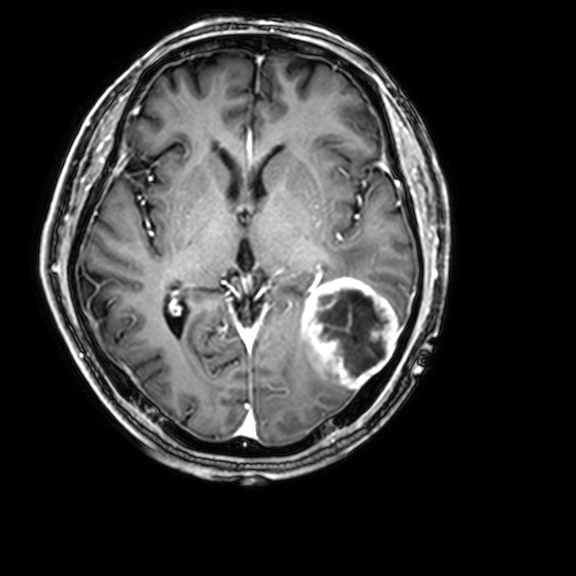
modality: 3 Tesla brain MRI; series: 3D T1-weighted with CLEAR; study: ring-enhancing brain masses.